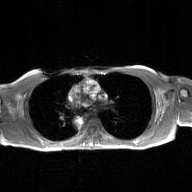
Clinical context:
2D phase-contrast cine MRI of the ascending aorta, GAN super-resolution reconstruction.